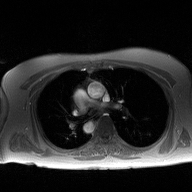
2D phase-contrast cine MRI of the ascending aorta, high-resolution GRAPPA acquisition.